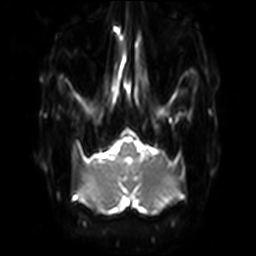
<scan>
<modality>
  <type>brain MRI</type>
  <field_strength>3T</field_strength>
</modality>
<series>diffusion-weighted imaging with SENSE (WIP)</series>
<study_topic>ring-enhancing brain masses</study_topic>
</scan>